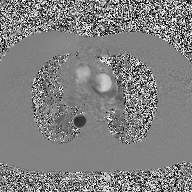
Case:
- modality — 2D phase-contrast cine MRI of the ascending aorta